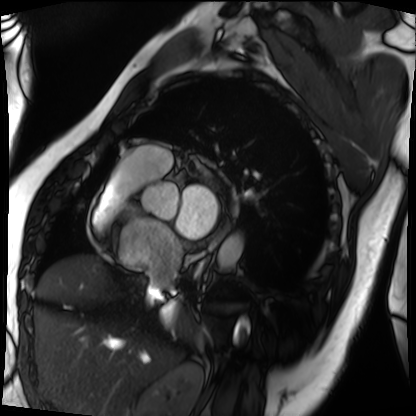
modality: cardiac MRI
subject group: patient